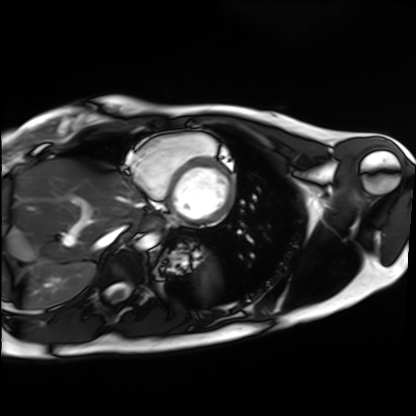
modality: cardiac MRI, subject group: healthy volunteer.